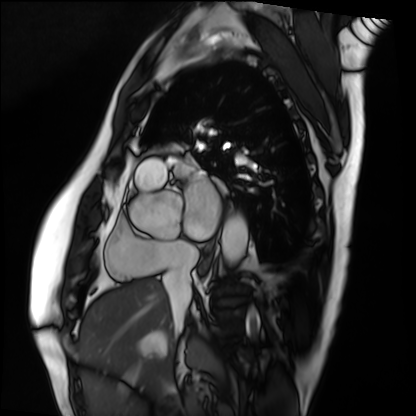
Cardiac MRI. Subject group: patient.